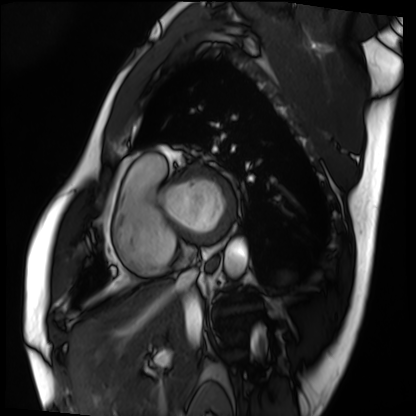
Clinical context:
Cardiac MRI. Subject group: patient.